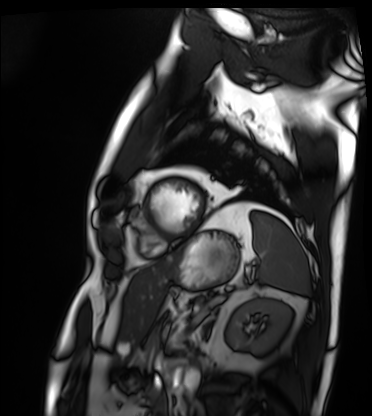
modality = cardiac MRI
subject group = patient